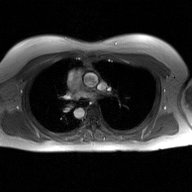
Q: What kind of scan is this?
A: 2D phase-contrast cine MRI of the ascending aorta, GAN super-resolution reconstruction.